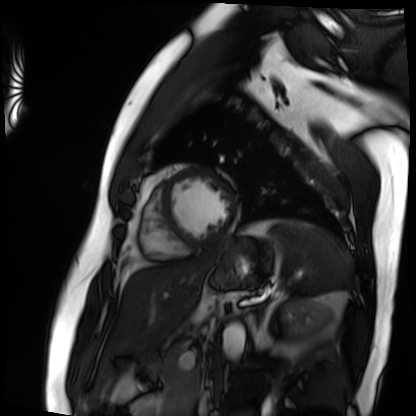
Summary: Cardiac MRI. Subject group: patient.